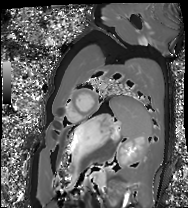
Clinical context: Cardiac MRI. Subject group: healthy volunteer.